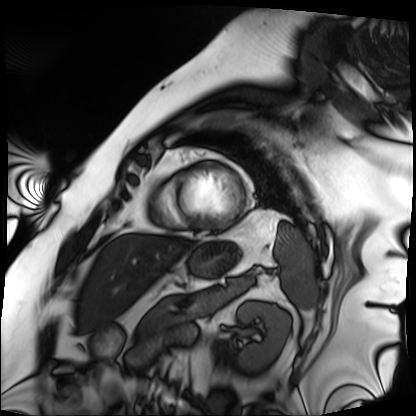
Cardiac MRI.
Subject group: patient.